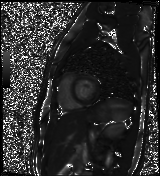
– modality: cardiac MR image of the myocardium
– subject cohort: healthy volunteer